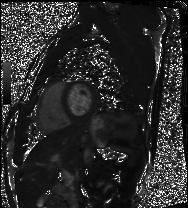
Cardiac MRI.
Subject group: healthy volunteer.